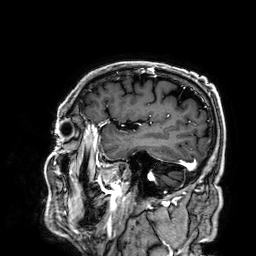
| field | value |
|---|---|
| modality | 3 Tesla brain MRI |
| series | 3D T1-weighted |
| study | ring-enhancing brain masses |